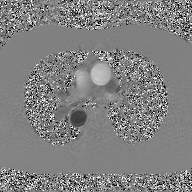
{
  "modality": {
    "type": "2D phase-contrast cine MRI",
    "region": "ascending aorta",
    "reconstruction": "GAN super-resolution reconstruction"
  }
}